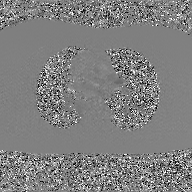
modality — 2D phase-contrast cine MRI of the ascending aorta, GAN super-resolution reconstruction